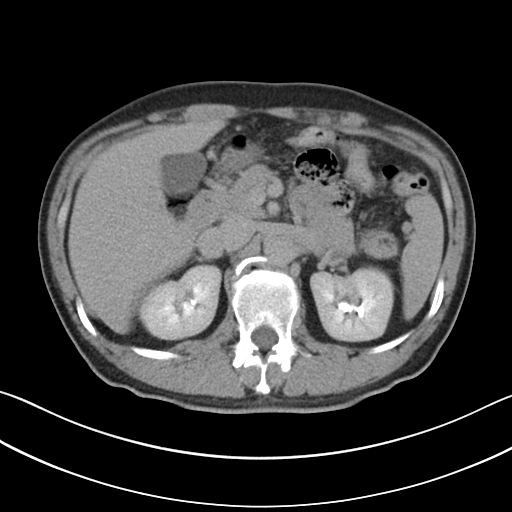
modality = multiphase abdominal CT, liver, delayed phase; patient = male, age 45.